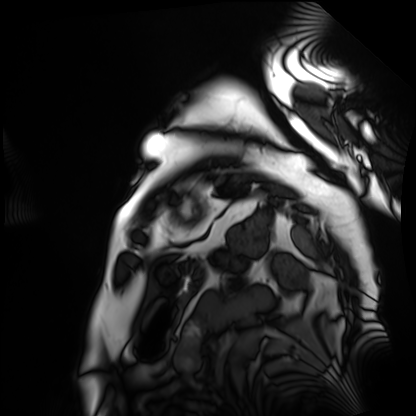
Case summary:
Cardiac MRI. Subject group: patient.